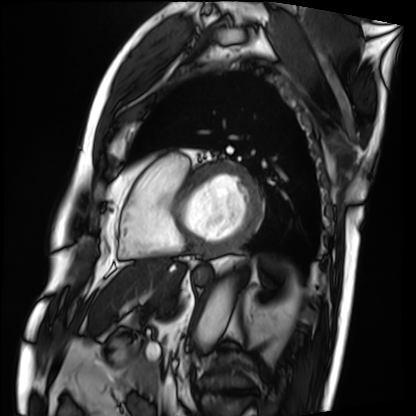
modality: cardiac MRI; subject group: patient.